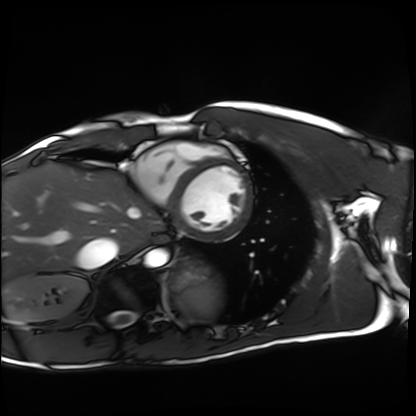
modality = cardiac MRI; subject group = healthy volunteer.